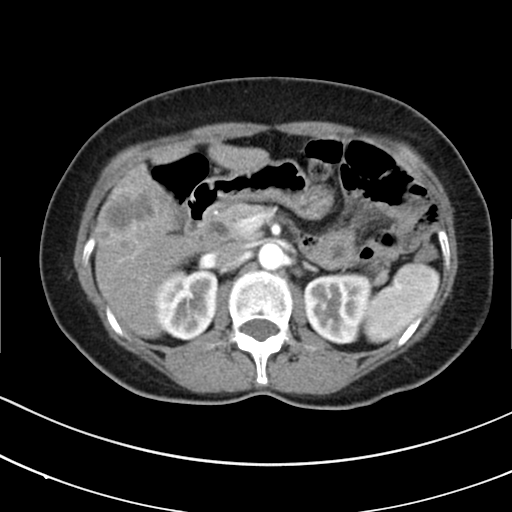
Q: What kind of scan is this?
A: Multiphase abdominal CT, liver, arterial phase.
Q: Patient?
A: Female, age 53.
Q: History?
A: Prior chemotherapy.